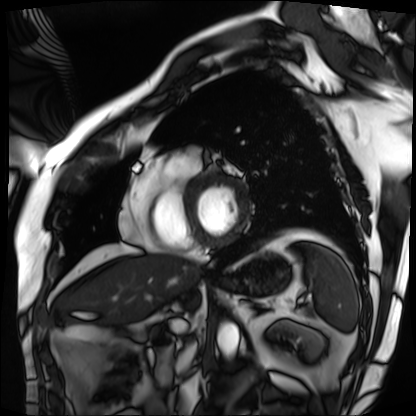
- modality: cardiac MRI
- subject group: patient